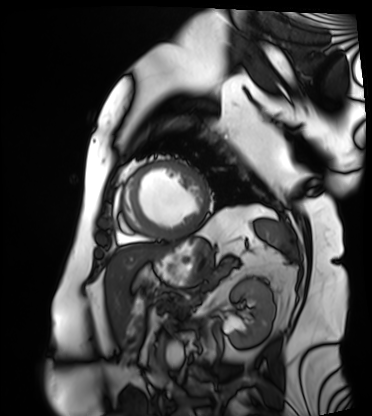
<study>
  <modality>cardiac MRI</modality>
  <cohort>patient</cohort>
</study>